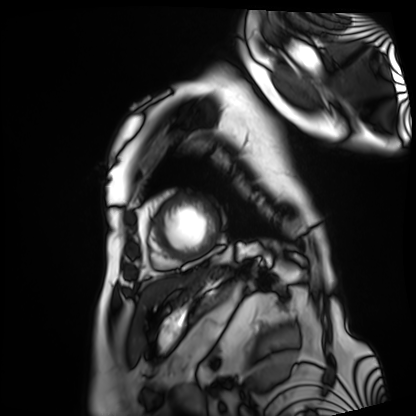
Cardiac MRI. Subject group: patient.